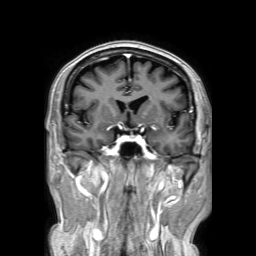
modality = 3 Tesla brain MRI
study = ring-enhancing brain masses